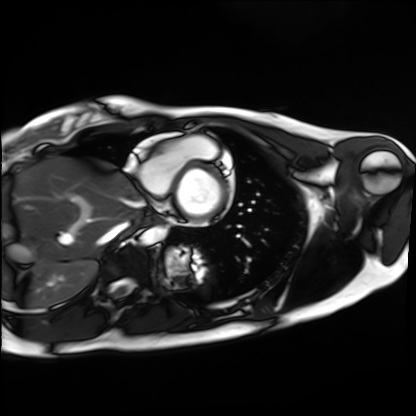
Summary: Cardiac MRI. Subject group: healthy volunteer.